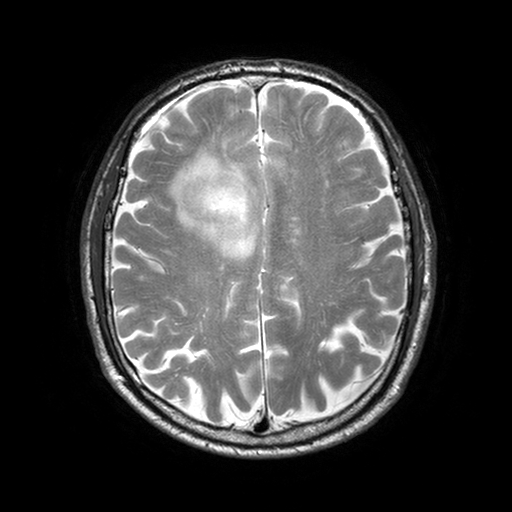
3 Tesla brain MRI. Study: ring-enhancing brain masses.